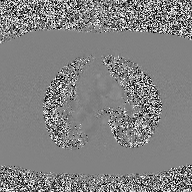
<study>
<modality>
  <type>2D phase-contrast cine MRI</type>
  <region>ascending aorta</region>
  <reconstruction>high-resolution GRAPPA acquisition</reconstruction>
</modality>
</study>